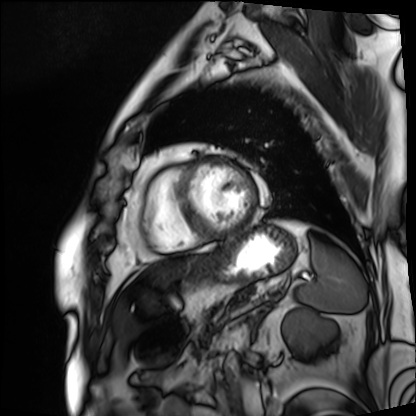
Q: What kind of scan is this?
A: Cardiac MRI.
Subject group: patient.